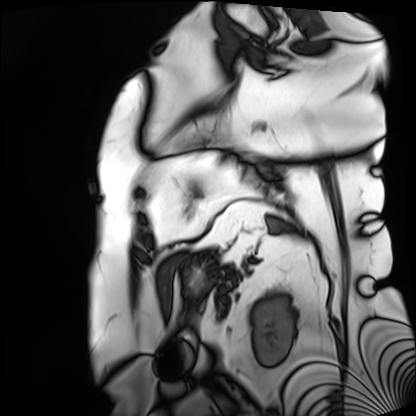
Q: What kind of scan is this?
A: Cardiac MRI.
Subject group: patient.